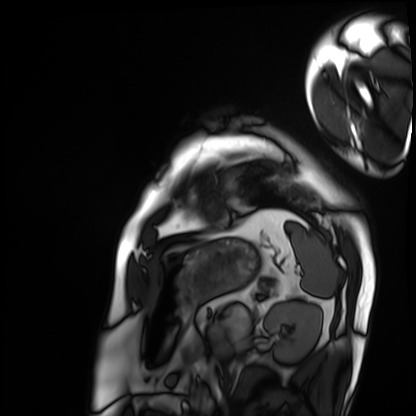
modality: cardiac MRI | subject group: patient.